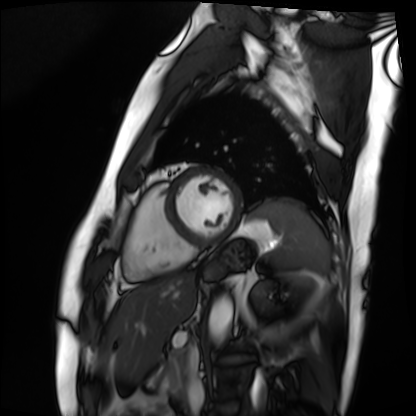
{"modality": "cardiac MRI", "cohort": "patient"}